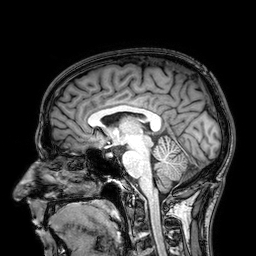
{"modality": {"type": "brain MRI", "field_strength": "3T"}, "series": "3D T1-weighted", "study_topic": "ring-enhancing brain masses"}